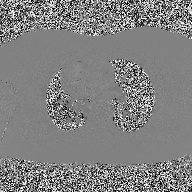
modality = 2D phase-contrast cine MRI of the ascending aorta